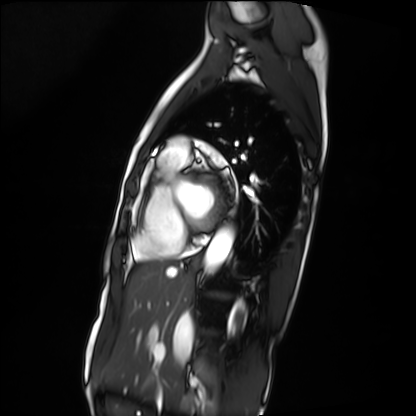
Cardiac MRI.
Subject group: patient.